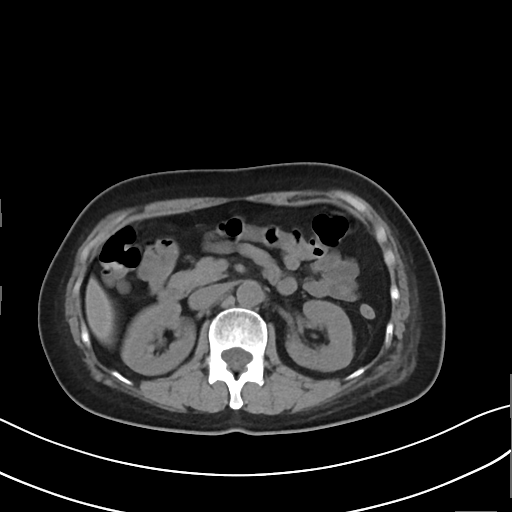
Multiphase abdominal CT, liver, non-contrast phase. Patient: female, age 54. History: prior chemotherapy.